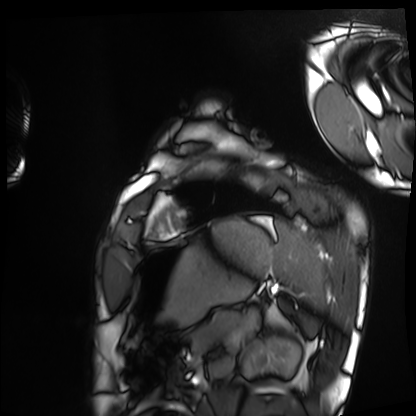
Cardiac MRI. Subject group: healthy volunteer.